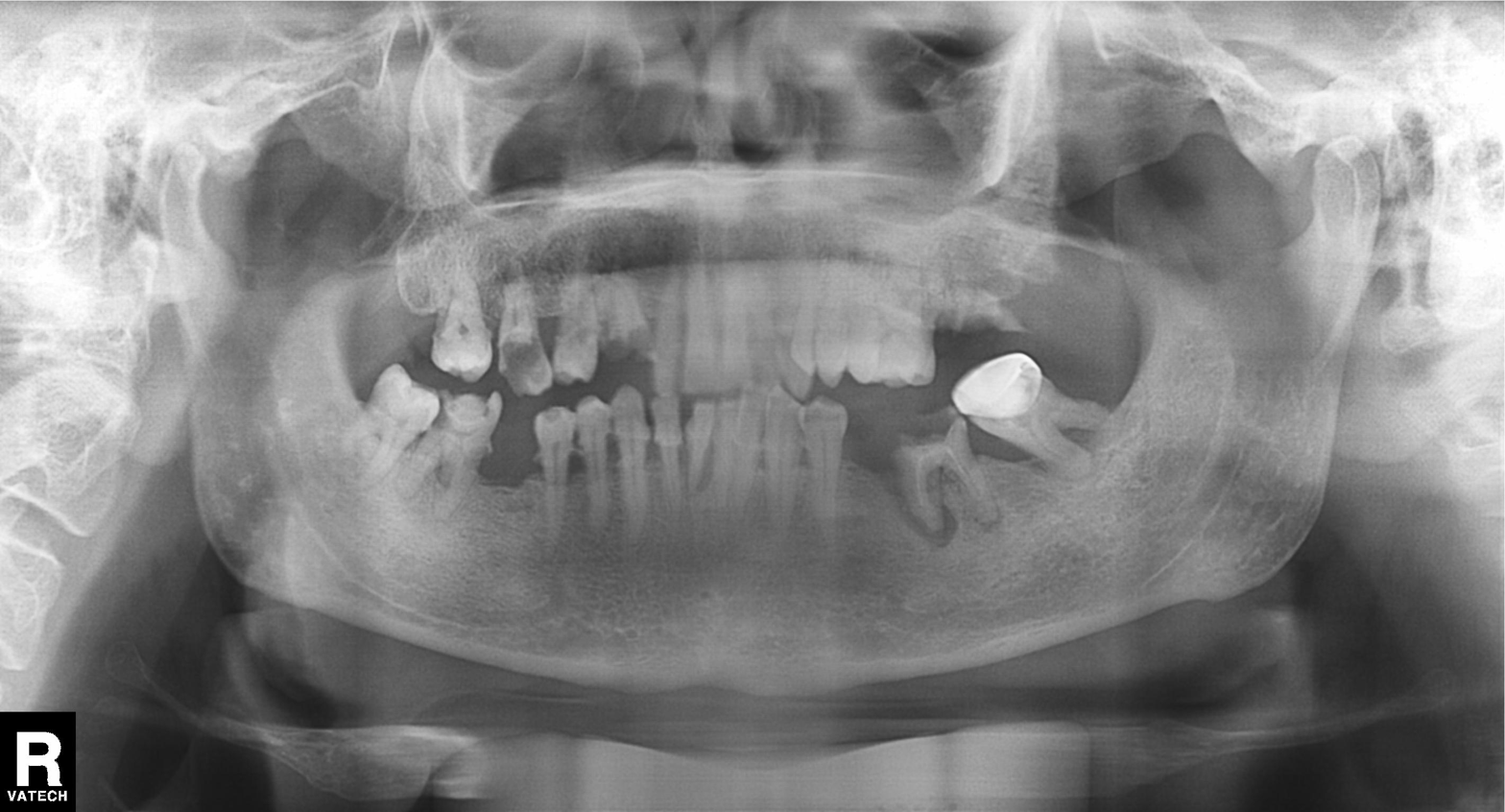
Q: What kind of scan is this?
A: Panoramic dental radiograph (orthopantomogram).
Q: What is the radiographic finding?
A: Alveolar bone loss.